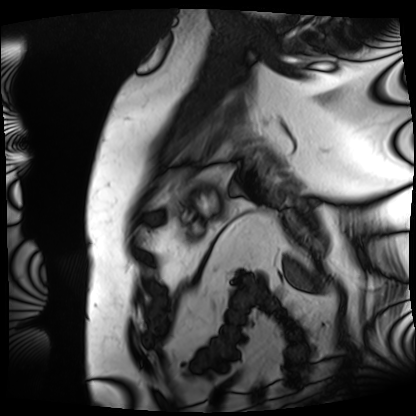
Cardiac MRI.
Subject group: patient.